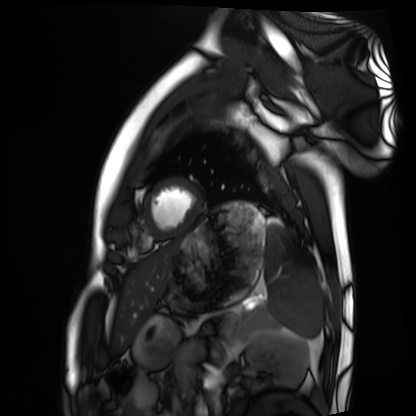
  modality: cardiac MRI
  cohort: healthy volunteer